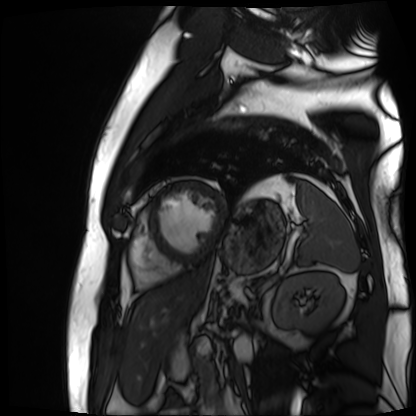
Clinical context:
Cardiac MR image of the myocardium. Subject cohort: cardiac patient.